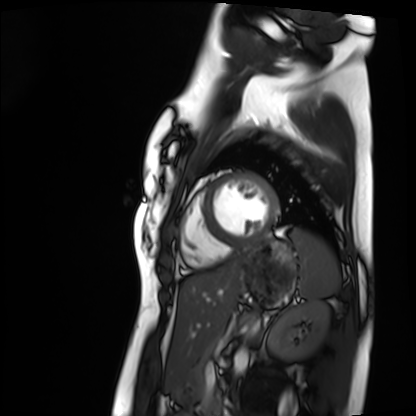
* modality · cardiac MRI
* subject group · healthy volunteer